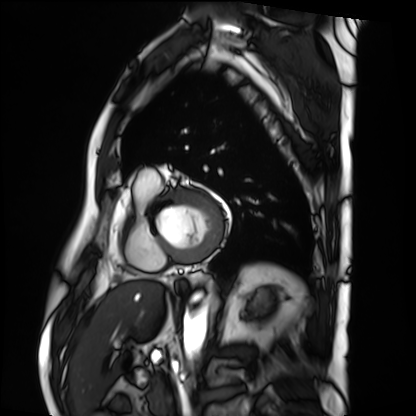
modality = cardiac MRI
subject group = patient